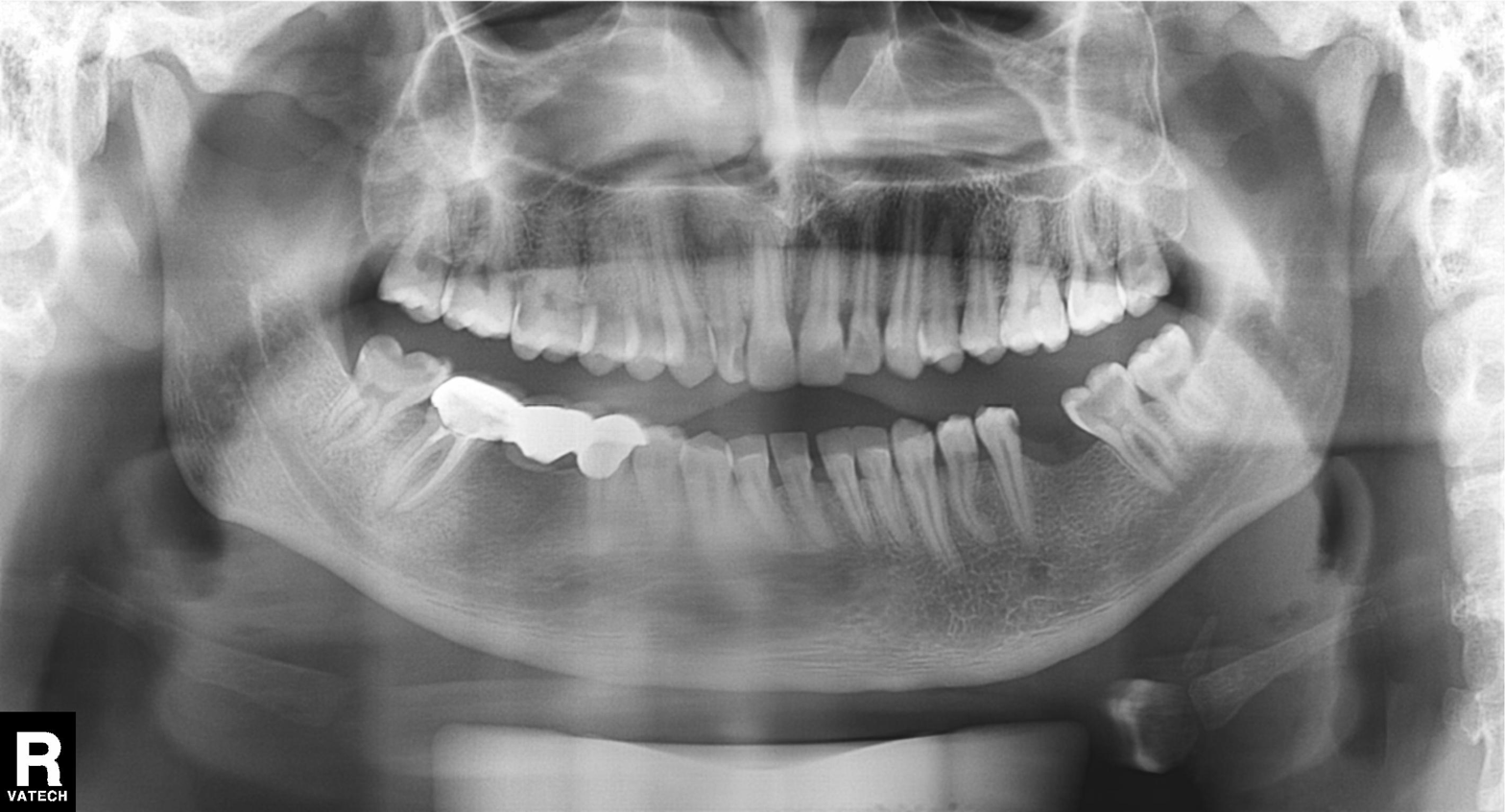
modality: panoramic dental radiograph (orthopantomogram)
finding: alveolar bone loss